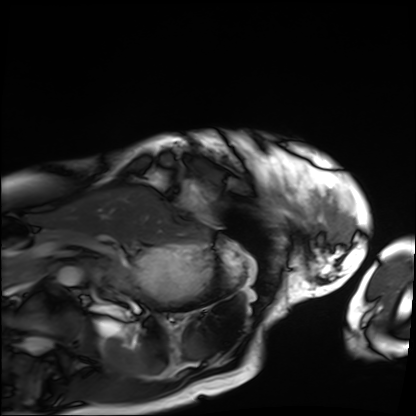
{
  "modality": "cardiac MRI",
  "cohort": "patient"
}